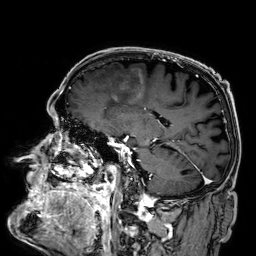
Summary:
3 Tesla brain MRI. Series: 3D T1-weighted. Study: ring-enhancing brain masses.